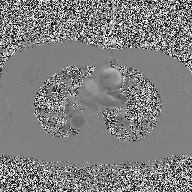
2D phase-contrast cine MRI of the ascending aorta, high-resolution GRAPPA acquisition.